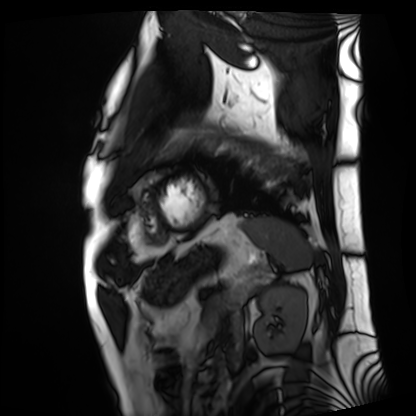
Case:
* modality — cardiac MRI
* subject group — patient